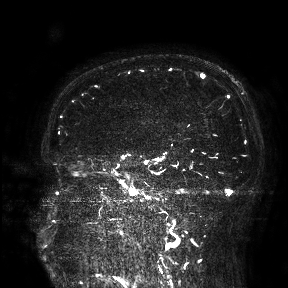
3 Tesla brain MRI.
Study: ring-enhancing brain masses.